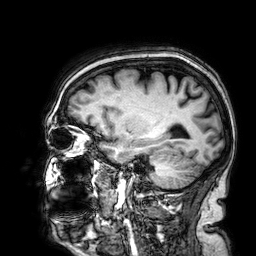
3 Tesla brain MRI. Series: 3D T1-weighted. Study: ring-enhancing brain masses.